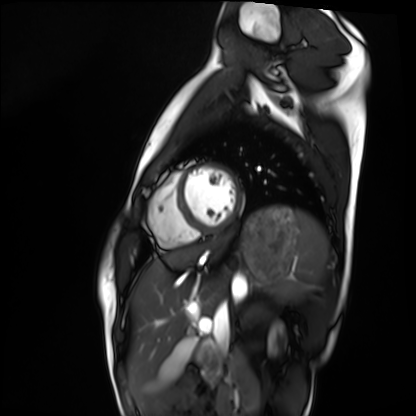
modality: cardiac MRI
cohort: healthy volunteer